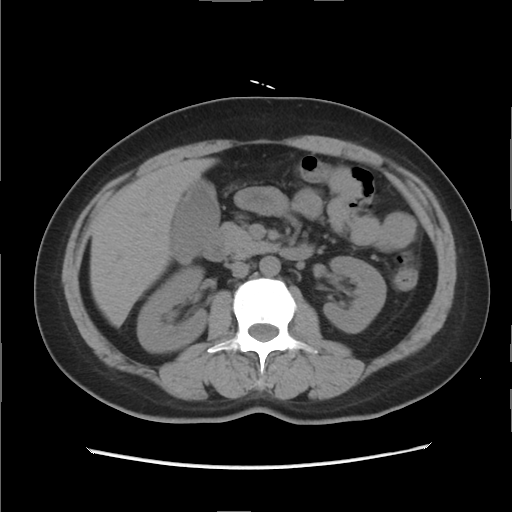
| field | value |
|---|---|
| modality | multiphase abdominal CT, liver, non-contrast phase |
| patient | female, age 47 |